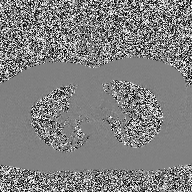
modality: 2D phase-contrast cine MRI of the ascending aorta.